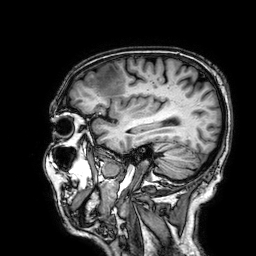
modality: 3 Tesla brain MRI
series: 3D T1-weighted
study: ring-enhancing brain masses